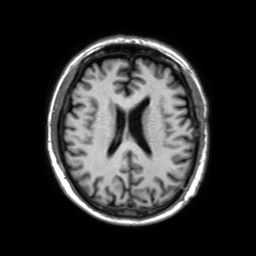
3 Tesla brain MRI.
Series: 3D T1-weighted TFE with SENSE.
Study: ring-enhancing brain masses.